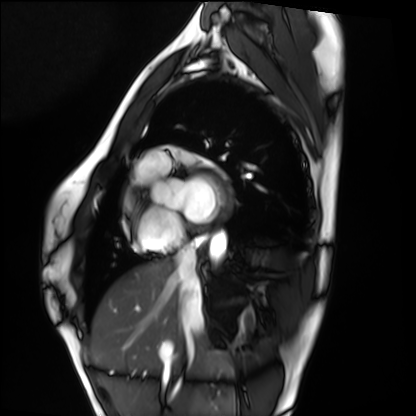
{"modality": "cardiac MRI", "cohort": "healthy volunteer"}